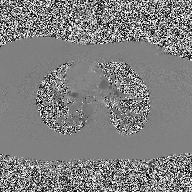
2D phase-contrast cine MRI of the ascending aorta, high-resolution GRAPPA acquisition.